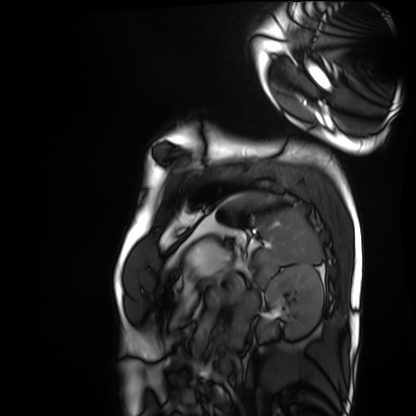
  modality: cardiac MRI
  cohort: healthy volunteer